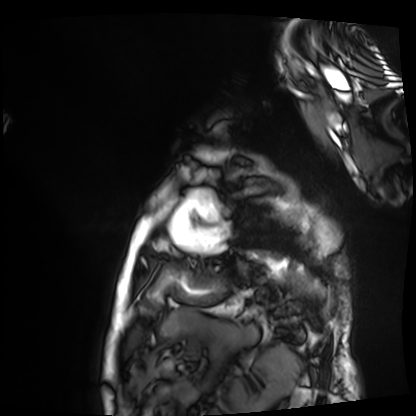
Summary: Cardiac MRI. Subject group: patient.